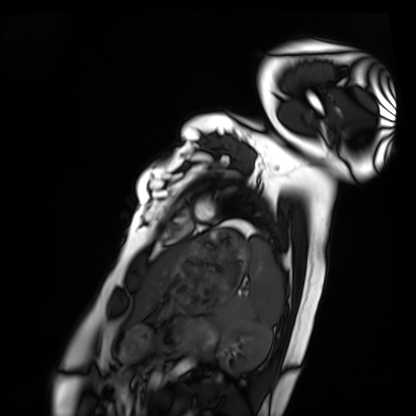
<record>
  <modality>cardiac MRI</modality>
  <cohort>healthy volunteer</cohort>
</record>